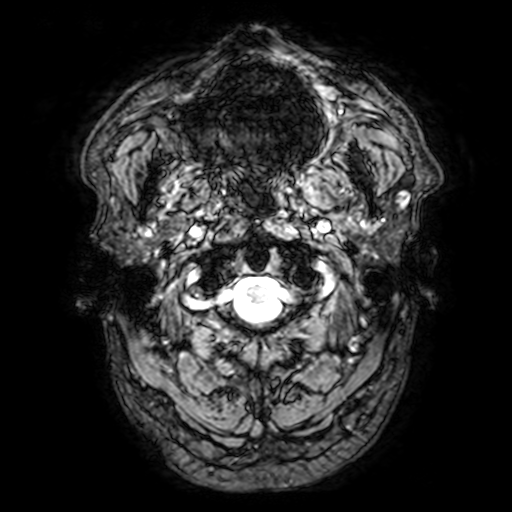
3 Tesla brain MRI. Series: T2-weighted fast field echo with SENSE. Study: ring-enhancing brain masses.